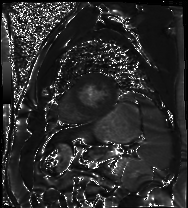
modality = cardiac MR image of the myocardium, subject cohort = cardiac patient.